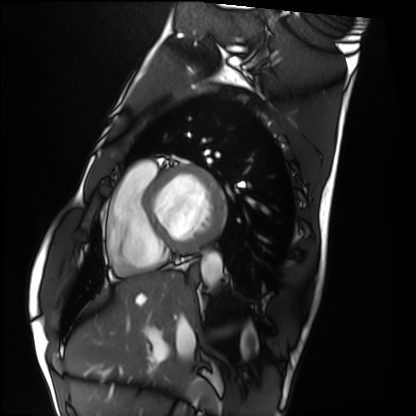
Cardiac MRI. Subject group: healthy volunteer.